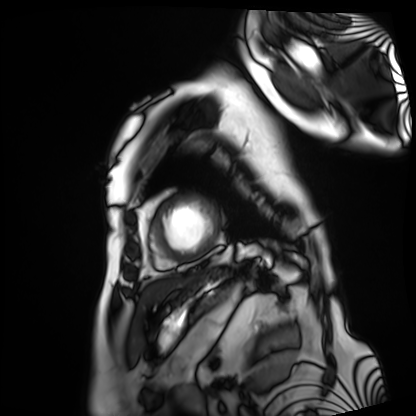
Summary:
Cardiac MRI. Subject group: patient.